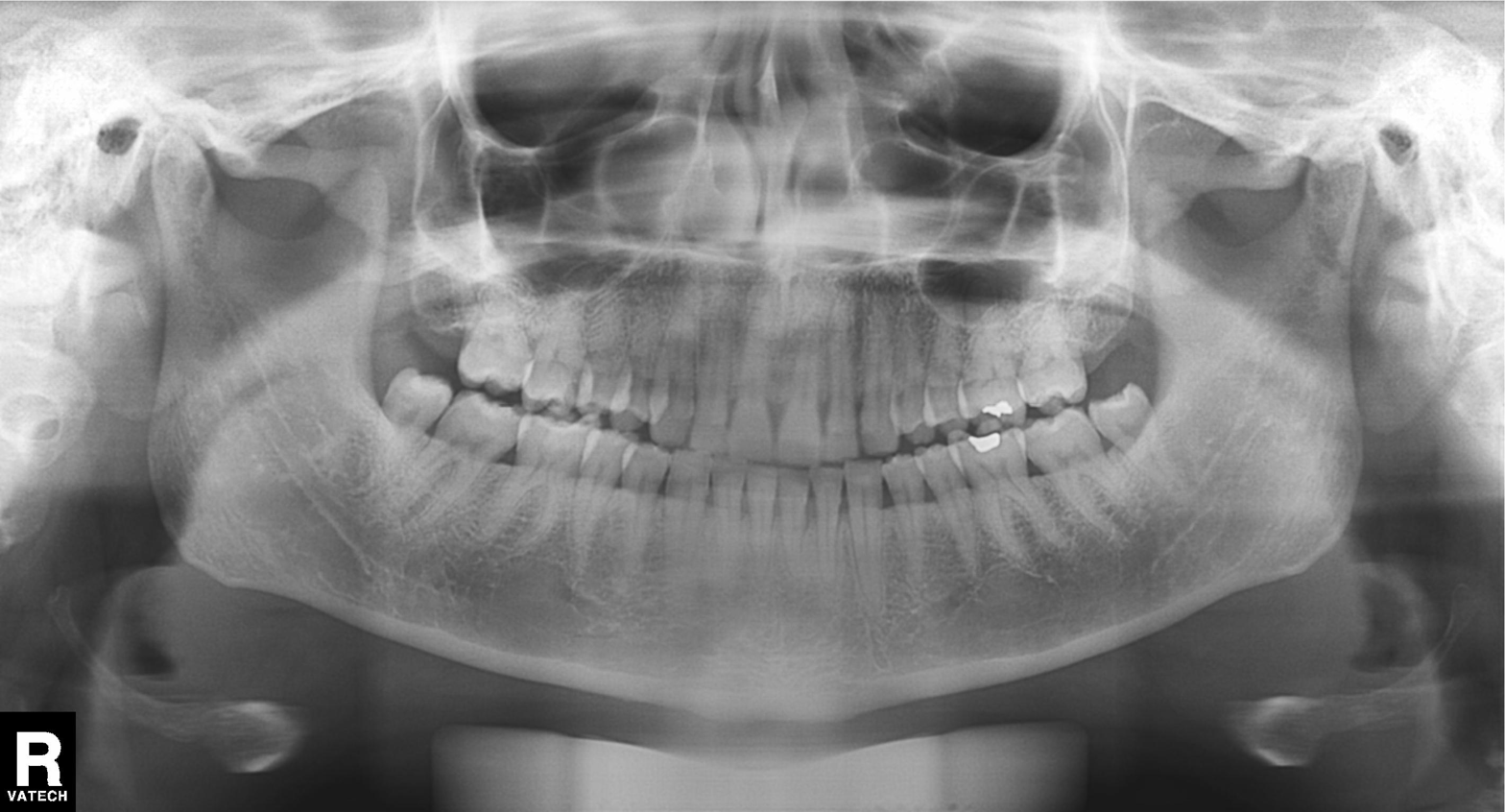
Panoramic dental radiograph (orthopantomogram).
Finding: dental caries (cavities).